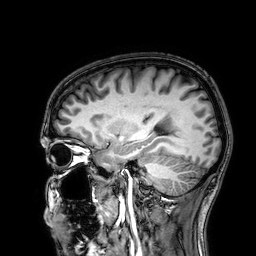
Clinical context: 3 Tesla brain MRI. Series: 3D T1-weighted. Study: ring-enhancing brain masses.